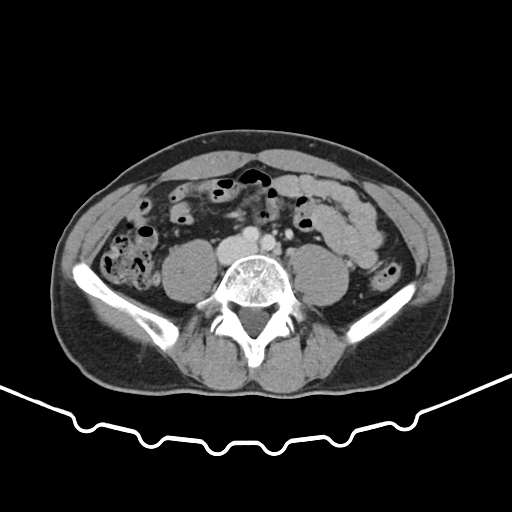
Multiphase abdominal CT, liver, portal venous phase. Patient: male, age 51.